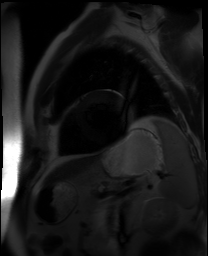
  modality: cardiac MR image of the myocardium
  cohort: cardiac patient